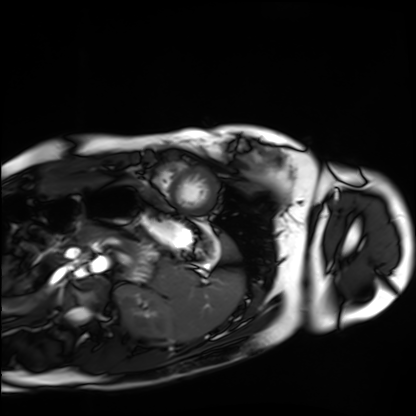
• modality — cardiac MRI
• subject group — healthy volunteer